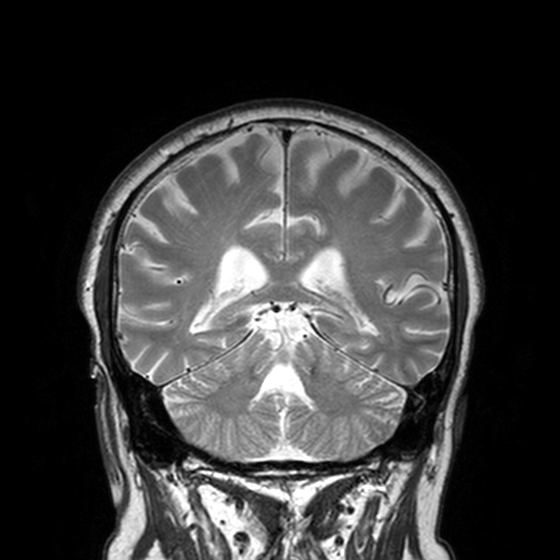
Q: What kind of scan is this?
A: 3 Tesla brain MRI.
Q: Series?
A: T2-weighted turbo spin echo, 3 mm.
Study: ring-enhancing brain masses.